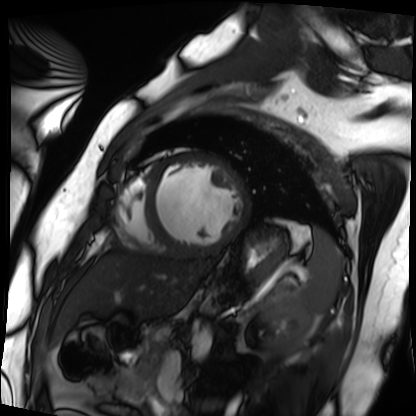
modality — cardiac MRI; subject group — patient.